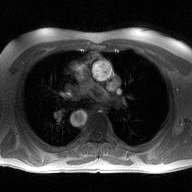
modality: 2D phase-contrast cine MRI of the ascending aorta.